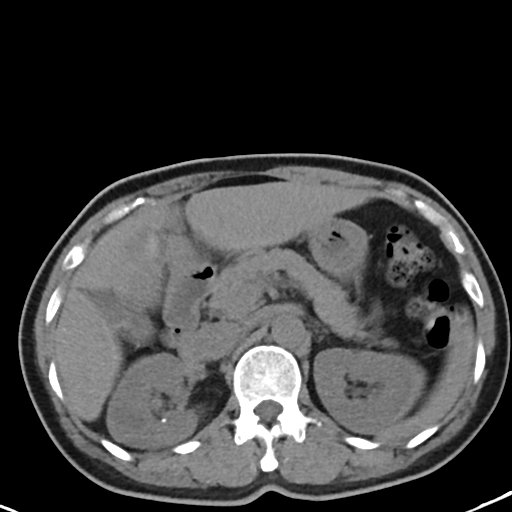
Q: What kind of scan is this?
A: Multiphase abdominal CT, liver, non-contrast phase.
Q: Patient?
A: Female, age 48.